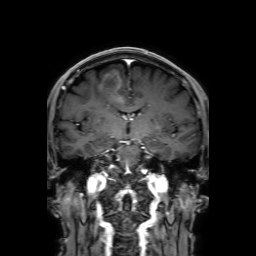
Case summary: 3 Tesla brain MRI. Series: 3D T1-weighted with SENSE. Study: ring-enhancing brain masses.